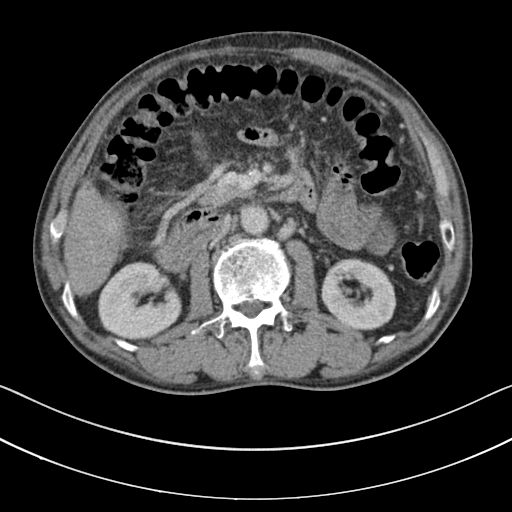
Case:
* modality — multiphase abdominal CT, liver, portal venous phase
* patient — male, age 60